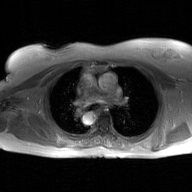
modality: 2D phase-contrast cine MRI of the ascending aorta, GAN super-resolution reconstruction.